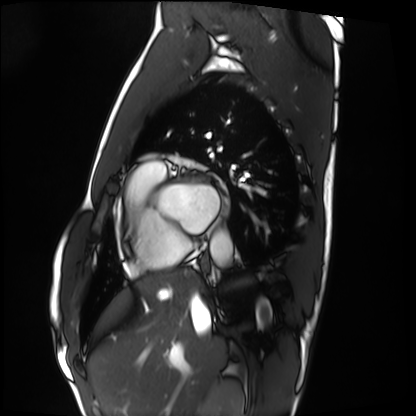
modality: cardiac MRI
cohort: healthy volunteer